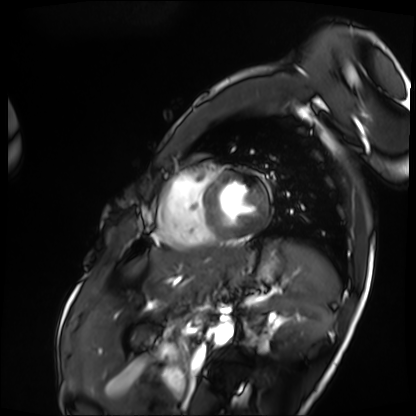
Cardiac MRI.
Subject group: patient.